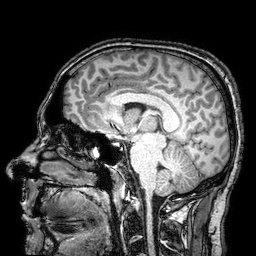
{
  "modality": {
    "type": "brain MRI",
    "field_strength": "3T"
  },
  "series": "3D T1-weighted turbo field echo with SENSE",
  "study_topic": "ring-enhancing brain masses"
}